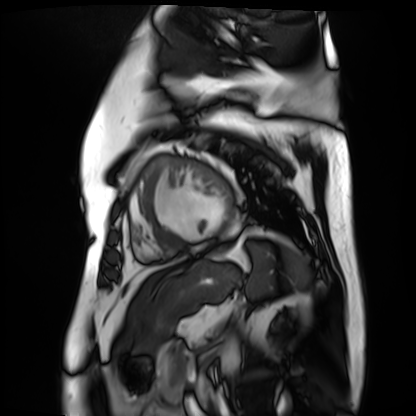
| field | value |
|---|---|
| modality | cardiac MR image of the myocardium |
| subject cohort | cardiac patient |